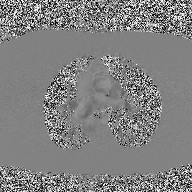
modality:
  type: 2D phase-contrast cine MRI
  region: ascending aorta
  reconstruction: high-resolution GRAPPA acquisition